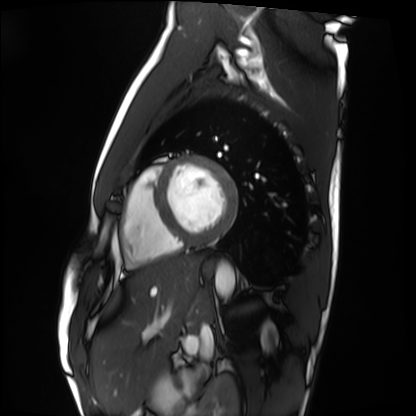
Cardiac MRI.
Subject group: healthy volunteer.